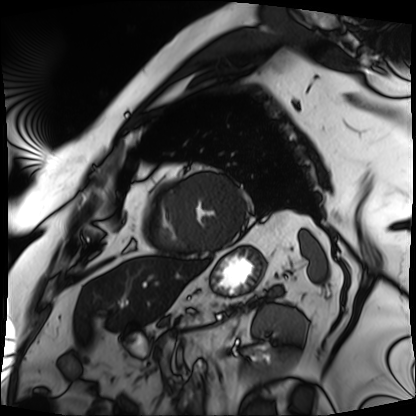
Q: What kind of scan is this?
A: Cardiac MRI.
Subject group: patient.